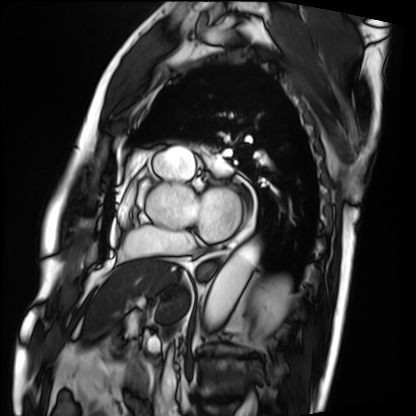
Case summary: Cardiac MRI. Subject group: patient.